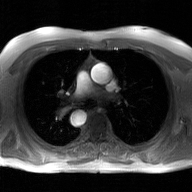
2D phase-contrast cine MRI of the ascending aorta, GAN super-resolution reconstruction.